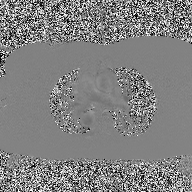
  modality:
    type: 2D phase-contrast cine MRI
    region: ascending aorta
    reconstruction: high-resolution GRAPPA acquisition